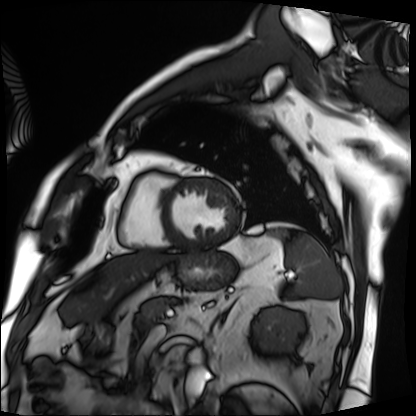
modality=cardiac MRI | subject group=patient.